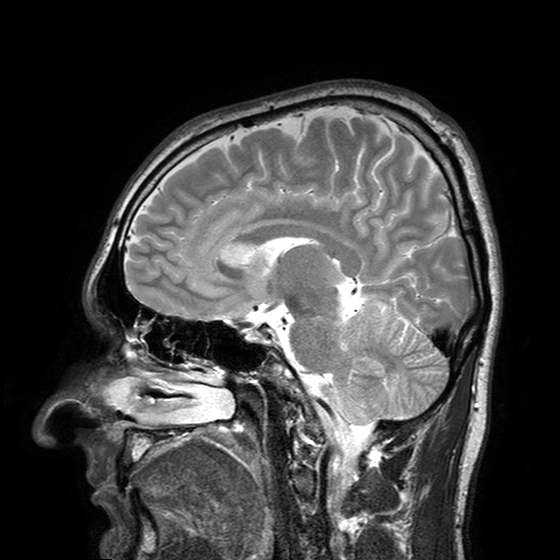
modality = 3 Tesla brain MRI
series = T2-weighted turbo spin echo with SENSE
study = ring-enhancing brain masses